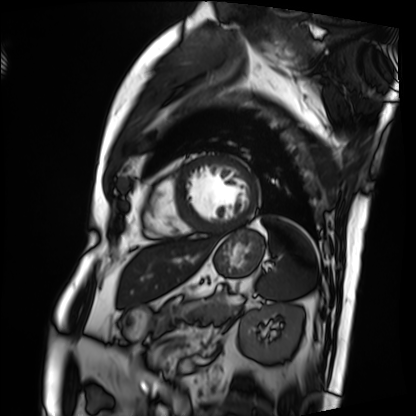
Q: What kind of scan is this?
A: Cardiac MRI.
Subject group: patient.